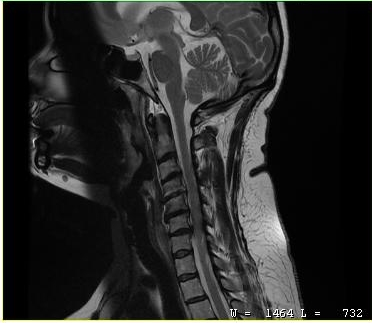
Summary: MRI of the cervical spine. Study: cervical spondylosis.